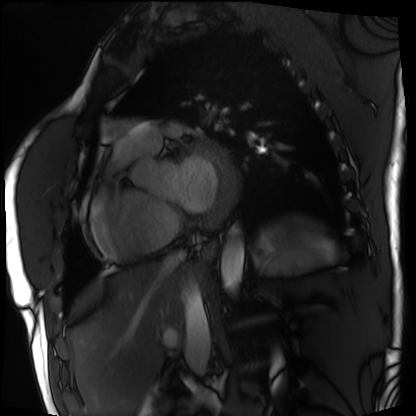
Cardiac MRI.
Subject group: patient.